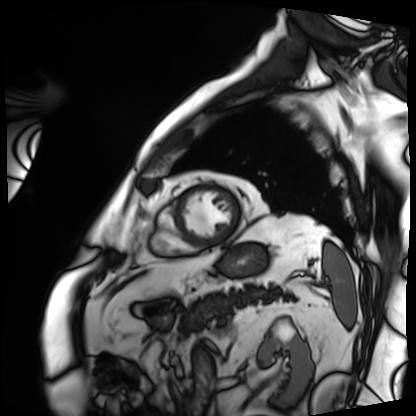
Summary:
Cardiac MRI. Subject group: patient.